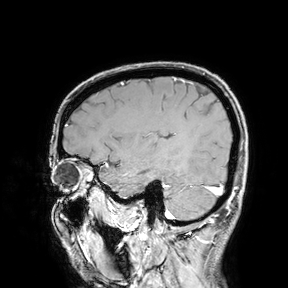
Case summary:
3 Tesla brain MRI. Study: ring-enhancing brain masses.